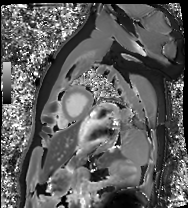
Q: What kind of scan is this?
A: Cardiac MRI.
Subject group: healthy volunteer.